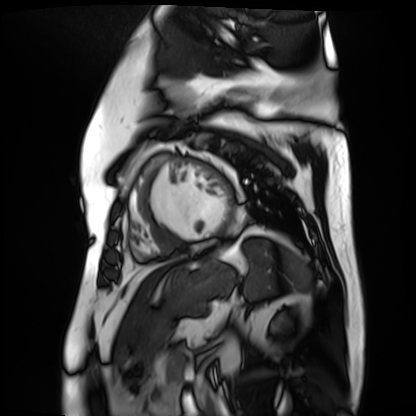
Cardiac MR image of the myocardium. Subject cohort: cardiac patient.